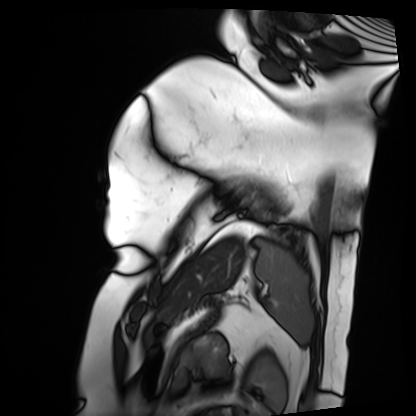
Cardiac MRI.
Subject group: patient.